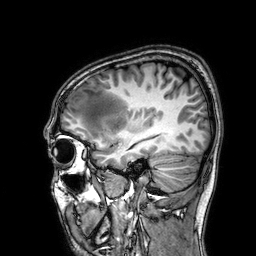
Clinical context:
3 Tesla brain MRI. Series: 3D T1-weighted. Study: ring-enhancing brain masses.